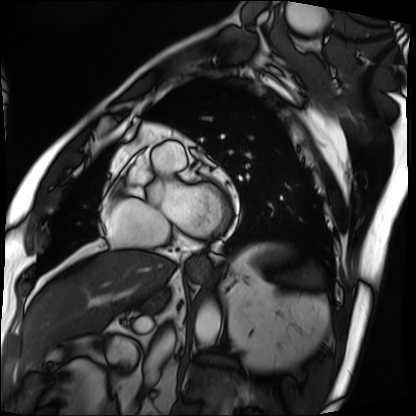
Cardiac MRI.
Subject group: patient.